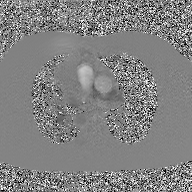
Case:
- modality: 2D phase-contrast cine MRI of the ascending aorta, GAN super-resolution reconstruction